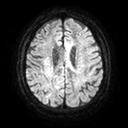
3 Tesla brain MRI. Series: diffusion tensor imaging (medium iso). Study: ring-enhancing brain masses.